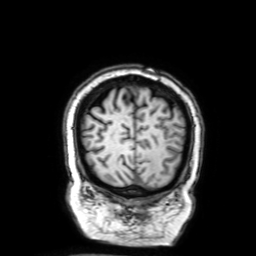
Summary:
3 Tesla brain MRI. Series: 3D T1-weighted with SENSE. Study: ring-enhancing brain masses.